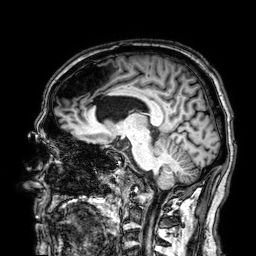
<record>
  <modality>
    <type>brain MRI</type>
    <field_strength>3T</field_strength>
  </modality>
  <series>3D T1-weighted</series>
  <study_topic>ring-enhancing brain masses</study_topic>
</record>